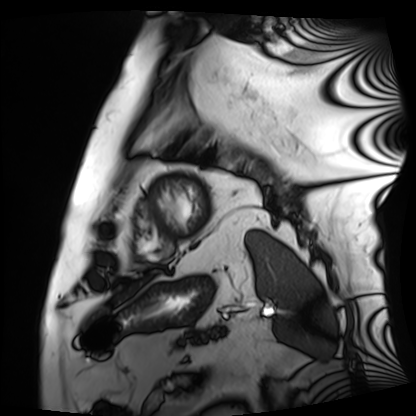
Cardiac MRI.
Subject group: patient.